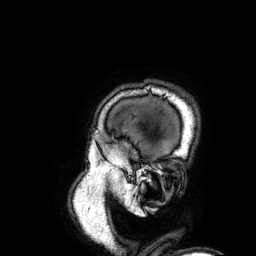
– modality — 3 Tesla brain MRI
– series — 3D T1-weighted
– study — ring-enhancing brain masses